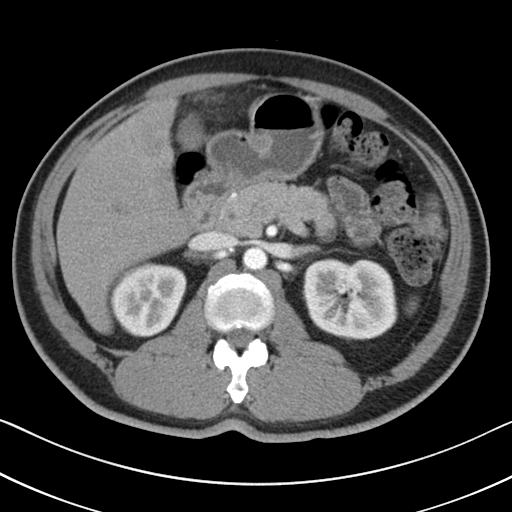
modality = multiphase abdominal CT, liver, arterial phase | patient = male, age 51.